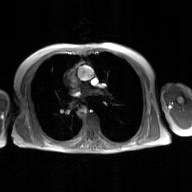
modality — 2D phase-contrast cine MRI of the ascending aorta, GAN super-resolution reconstruction.